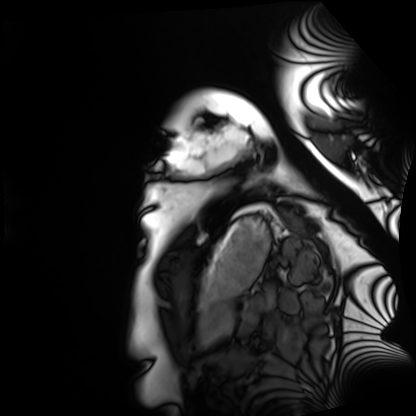
| field | value |
|---|---|
| modality | cardiac MRI |
| subject group | healthy volunteer |